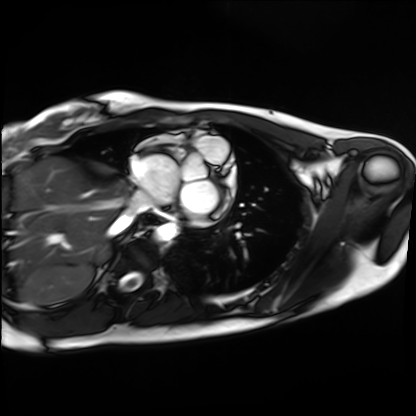
Cardiac MRI. Subject group: healthy volunteer.